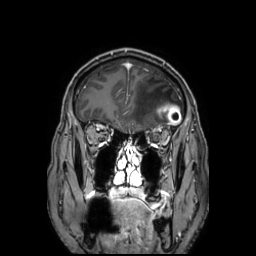
<record>
<modality>
  <type>brain MRI</type>
  <field_strength>3T</field_strength>
</modality>
<series>3D T1-weighted TFE with SENSE</series>
<study_topic>ring-enhancing brain masses</study_topic>
</record>